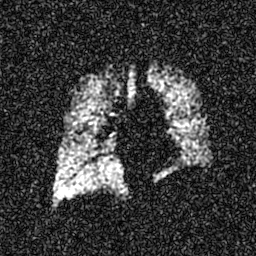
<scan>
<modality>hyperpolarized 129Xe ventilation MRI of the lungs</modality>
<snr_level>6 of 8 (the deposit holds this scan as its native image and as seven SNR-degraded versions)</snr_level>
</scan>